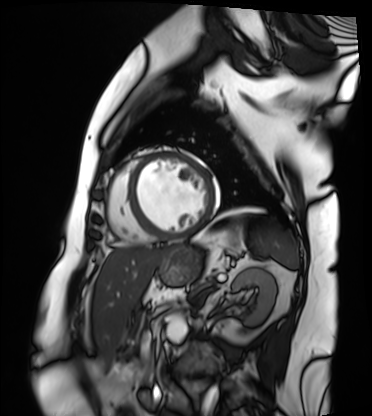
modality=cardiac MRI; subject group=patient.